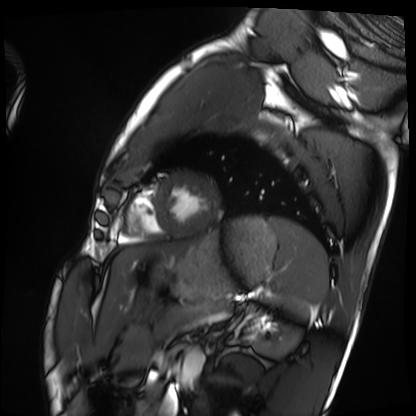
Cardiac MRI.
Subject group: healthy volunteer.